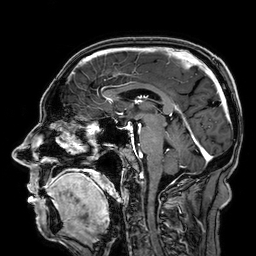
{
  "modality": {
    "type": "brain MRI",
    "field_strength": "3T"
  },
  "series": "3D T1-weighted",
  "study_topic": "ring-enhancing brain masses"
}